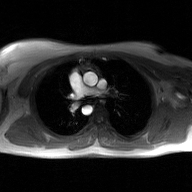
modality = 2D phase-contrast cine MRI of the ascending aorta, GAN super-resolution reconstruction